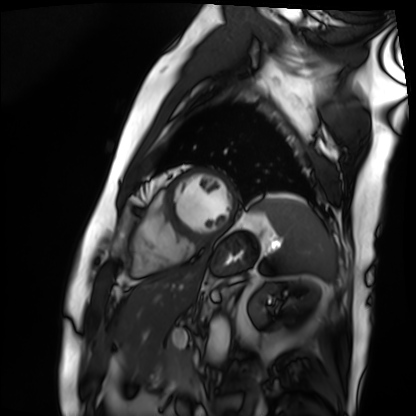
Cardiac MRI. Subject group: patient.